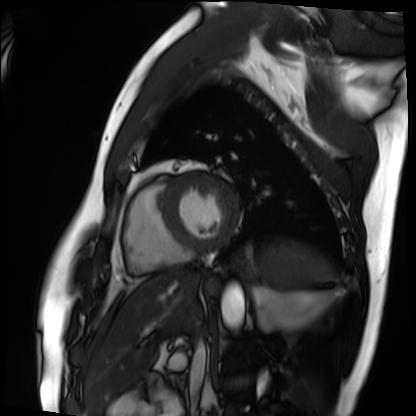
• modality: cardiac MRI
• subject group: patient